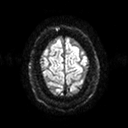
Q: What kind of scan is this?
A: 3 Tesla brain MRI.
Q: Series?
A: Diffusion tensor imaging (medium iso).
Study: ring-enhancing brain masses.